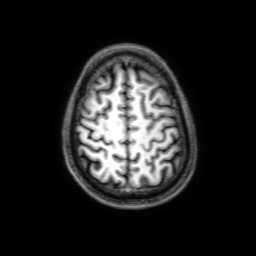
- modality · 3 Tesla brain MRI
- series · 3D T1-weighted with SENSE
- study · ring-enhancing brain masses